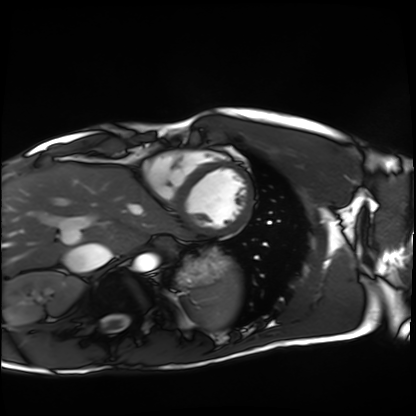
Cardiac MRI.
Subject group: healthy volunteer.